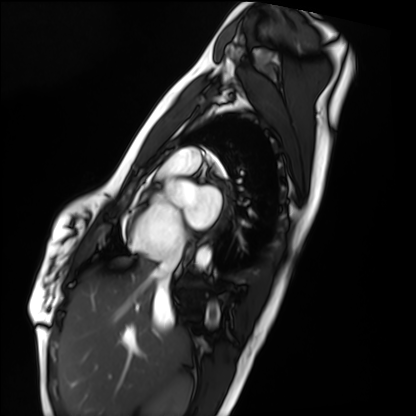
modality = cardiac MRI
subject group = healthy volunteer